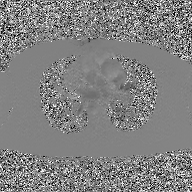
{"modality": {"type": "2D phase-contrast cine MRI", "region": "ascending aorta", "reconstruction": "GAN super-resolution reconstruction"}}